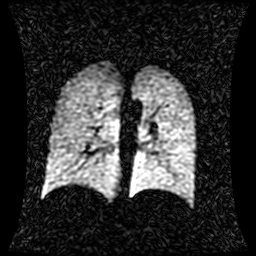
Hyperpolarized 129Xe ventilation MRI of the lungs. SNR level 1 of 8 (the deposit holds this scan as its native image and as seven SNR-degraded versions).